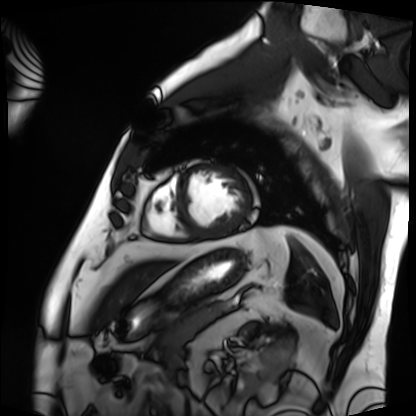
| field | value |
|---|---|
| modality | cardiac MRI |
| subject group | patient |